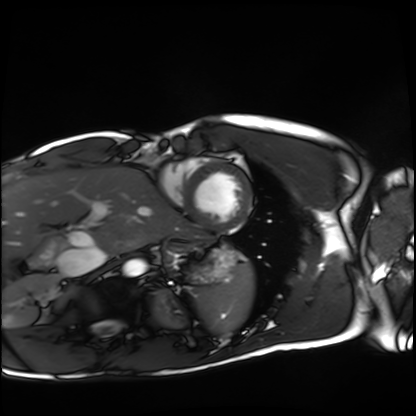
Cardiac MRI. Subject group: healthy volunteer.